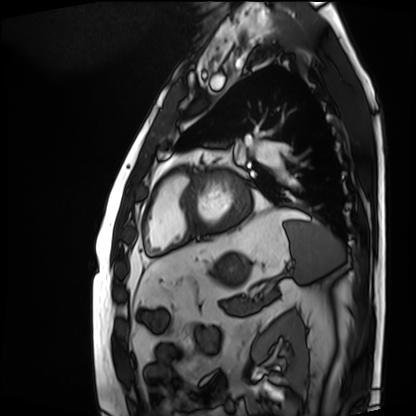
Cardiac MRI.
Subject group: patient.